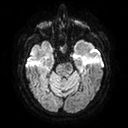
3 Tesla brain MRI.
Series: diffusion tensor imaging (medium iso).
Study: ring-enhancing brain masses.